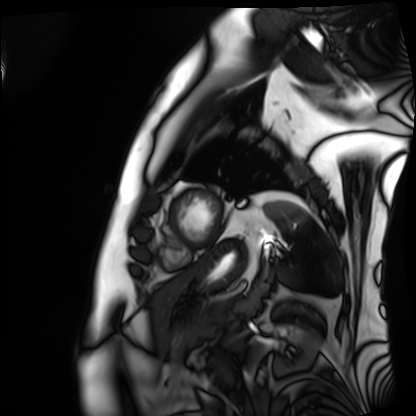
{"modality": "cardiac MRI", "cohort": "patient"}